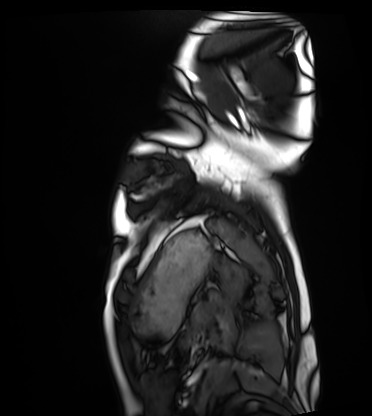
Q: What kind of scan is this?
A: Cardiac MRI.
Subject group: healthy volunteer.